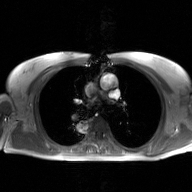
2D phase-contrast cine MRI of the ascending aorta, GAN super-resolution reconstruction.